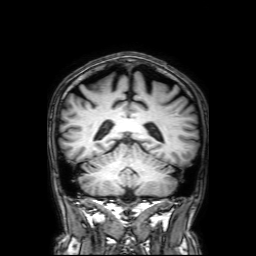
Q: What kind of scan is this?
A: 3 Tesla brain MRI.
Q: Series?
A: 3D T1-weighted with SENSE.
Study: ring-enhancing brain masses.